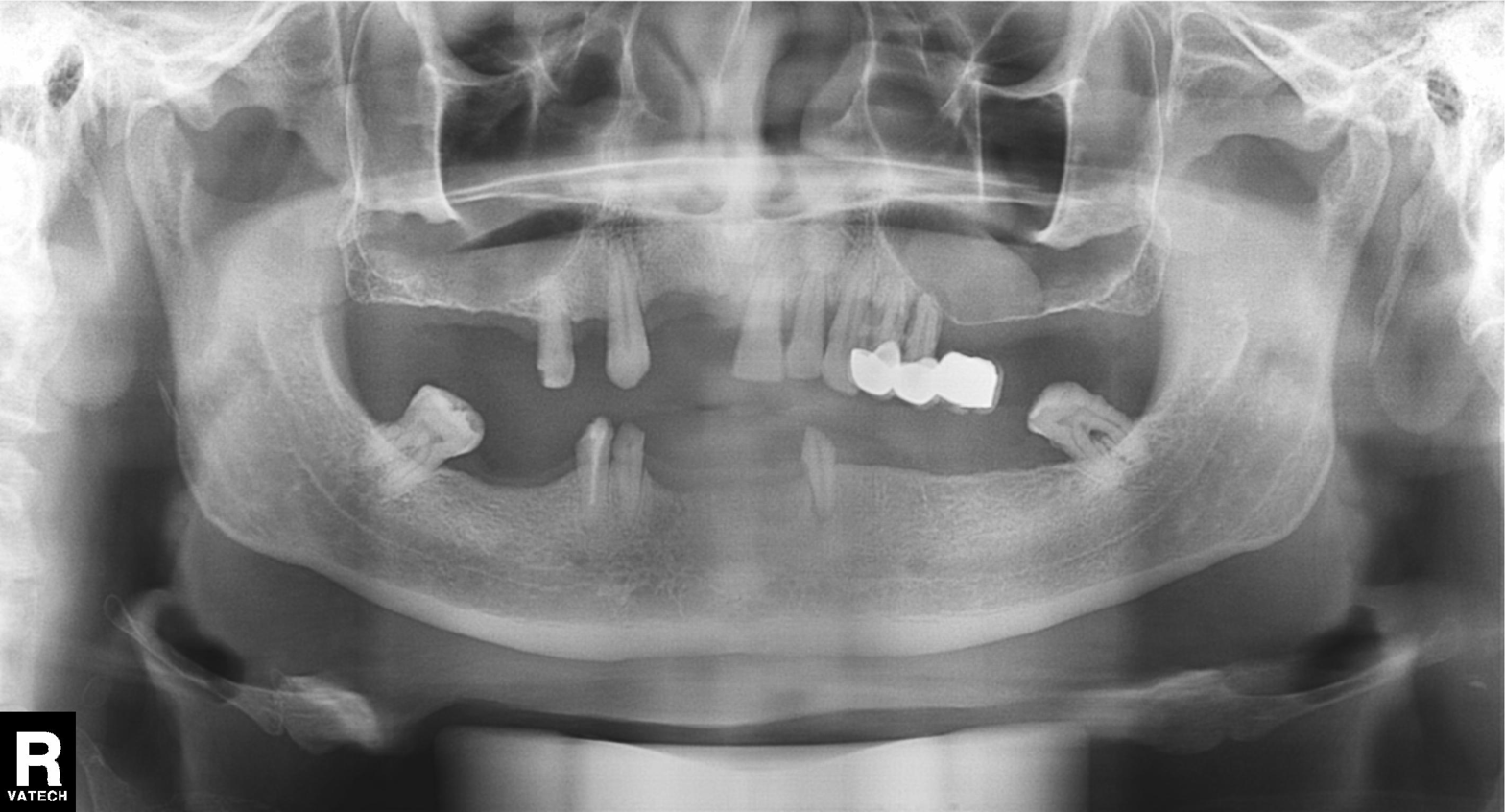
Summary: Panoramic dental radiograph (orthopantomogram).
Conclusion: Dental caries (cavities).